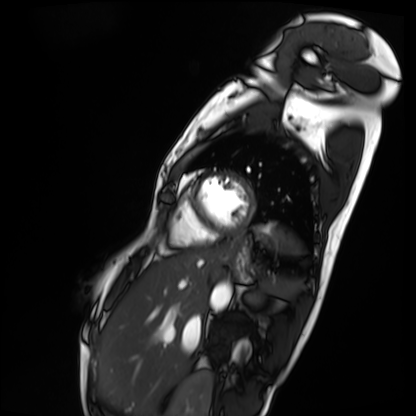
Cardiac MRI.
Subject group: patient.